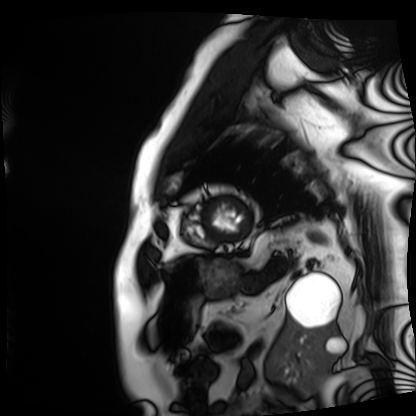
Case:
* modality — cardiac MRI
* subject group — patient